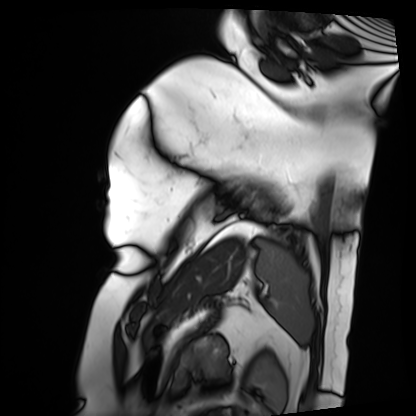
Case:
– modality — cardiac MRI
– subject group — patient